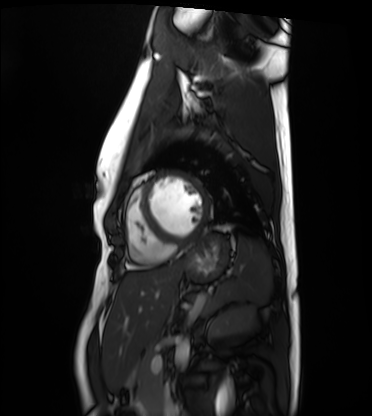
Cardiac MRI.
Subject group: healthy volunteer.